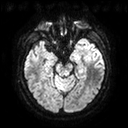
3 Tesla brain MRI. Series: diffusion tensor imaging (medium iso). Study: ring-enhancing brain masses.